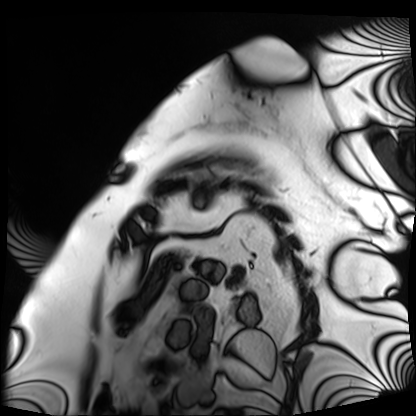
– modality · cardiac MRI
– subject group · patient